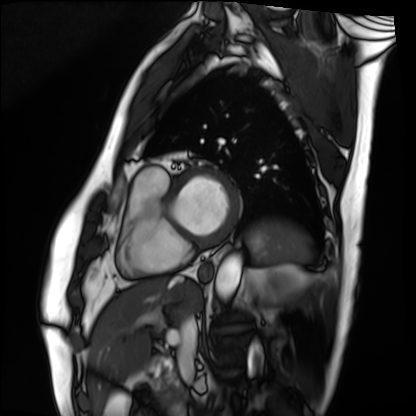
Cardiac MRI. Subject group: patient.